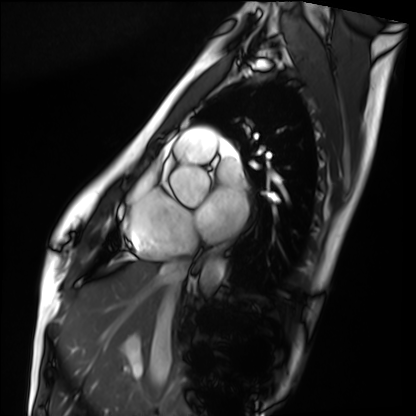
Cardiac MRI. Subject group: healthy volunteer.